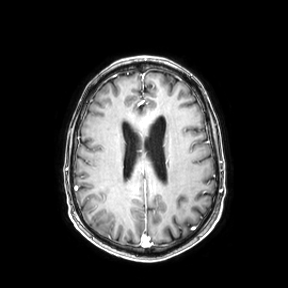
modality: 3 Tesla brain MRI
series: axial
study: ring-enhancing brain masses